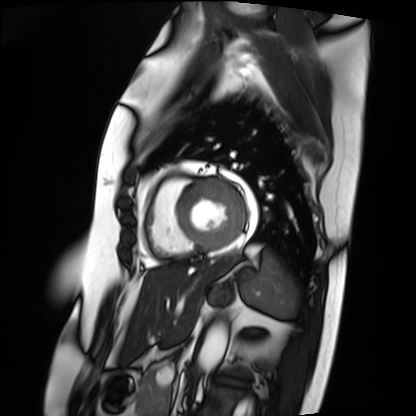
Q: What kind of scan is this?
A: Cardiac MRI.
Subject group: patient.